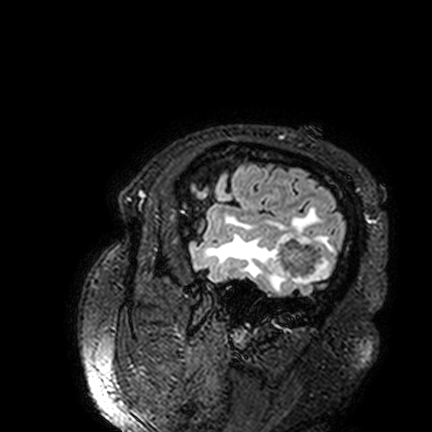
3 Tesla brain MRI.
Series: FLAIR VISTA.
Study: ring-enhancing brain masses.